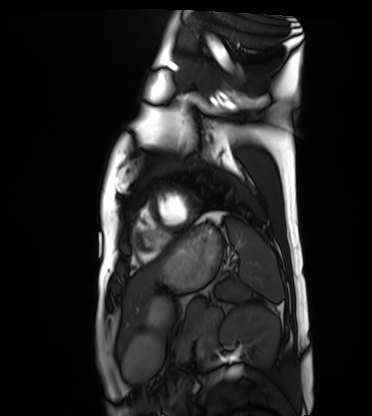
{"modality": "cardiac MRI", "cohort": "healthy volunteer"}